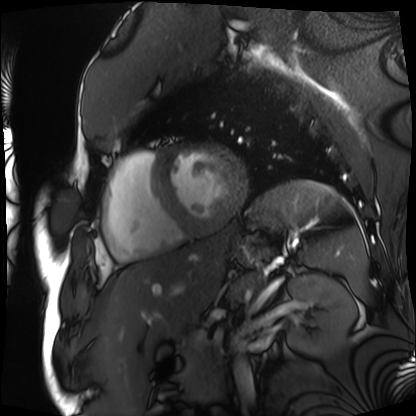
Q: What kind of scan is this?
A: Cardiac MRI.
Subject group: patient.